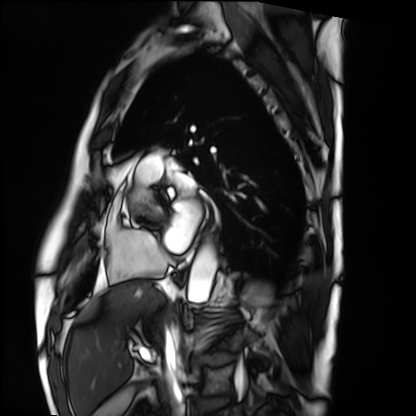
Cardiac MRI. Subject group: patient.